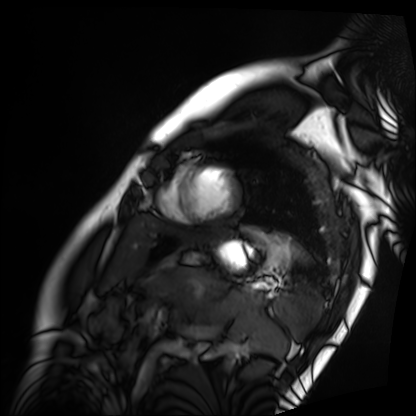
Q: What kind of scan is this?
A: Cardiac MRI.
Subject group: patient.